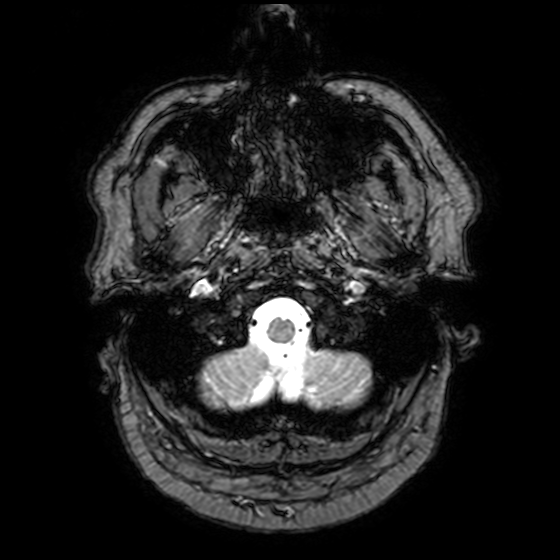
Q: What kind of scan is this?
A: 3 Tesla brain MRI.
Q: Series?
A: T2-weighted fast field echo with SENSE.
Study: ring-enhancing brain masses.